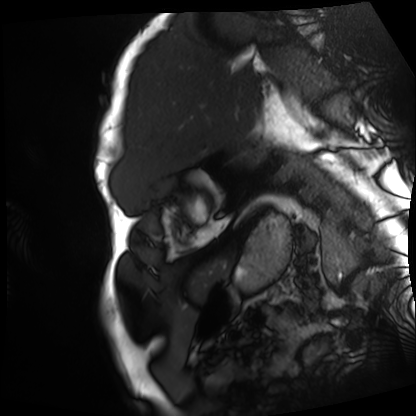
Clinical context:
Cardiac MRI. Subject group: patient.